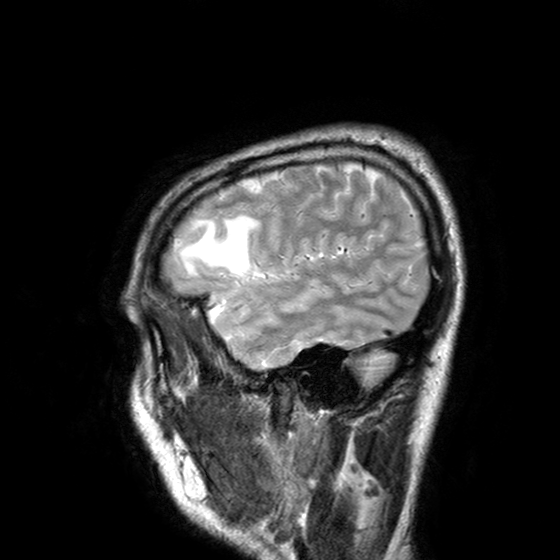
- modality — 3 Tesla brain MRI
- series — T2-weighted turbo spin echo with SENSE
- study — ring-enhancing brain masses